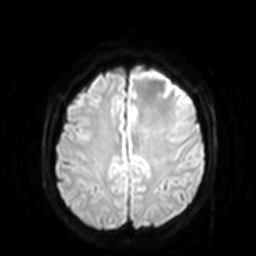
3 Tesla brain MRI.
Series: diffusion-weighted imaging with SENSE (WIP).
Study: ring-enhancing brain masses.